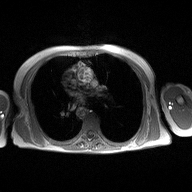
modality=2D phase-contrast cine MRI of the ascending aorta.